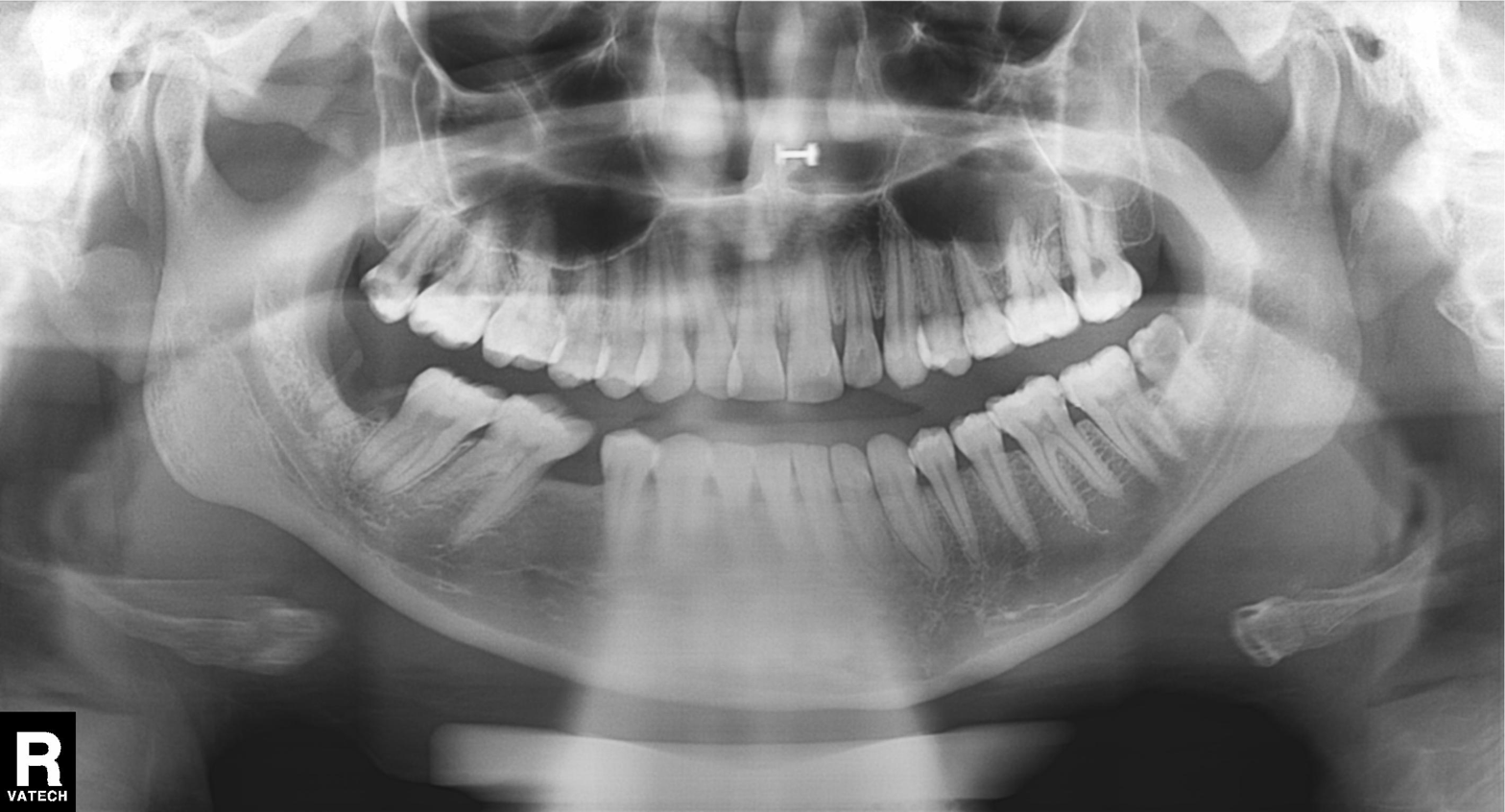
| feature | finding |
|---|---|
| modality | panoramic dental radiograph (orthopantomogram) |
| finding | alveolar bone loss |